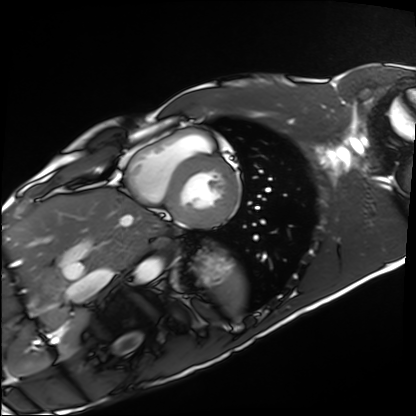
Q: What kind of scan is this?
A: Cardiac MRI.
Subject group: healthy volunteer.